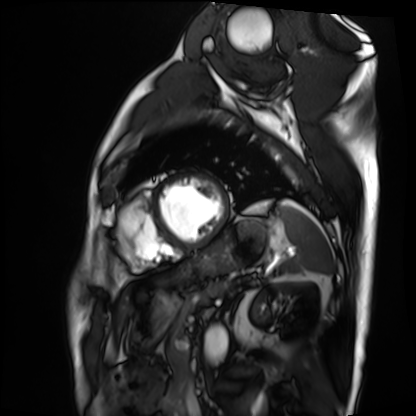
Case:
– modality — cardiac MRI
– subject group — patient